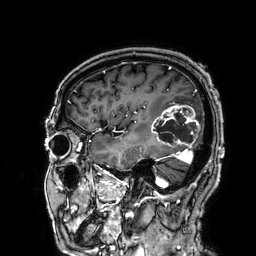
Case summary: 3 Tesla brain MRI. Series: 3D T1-weighted. Study: ring-enhancing brain masses.